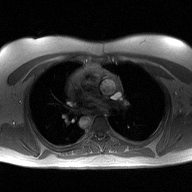
Case summary:
2D phase-contrast cine MRI of the ascending aorta, high-resolution GRAPPA acquisition.